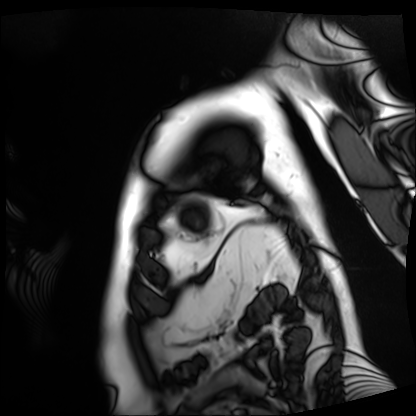
<case>
<modality>cardiac MRI</modality>
<cohort>patient</cohort>
</case>